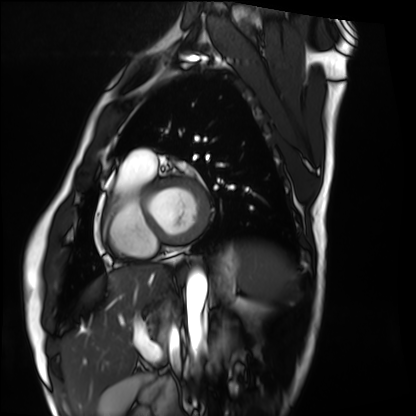
Clinical context: Cardiac MRI. Subject group: healthy volunteer.